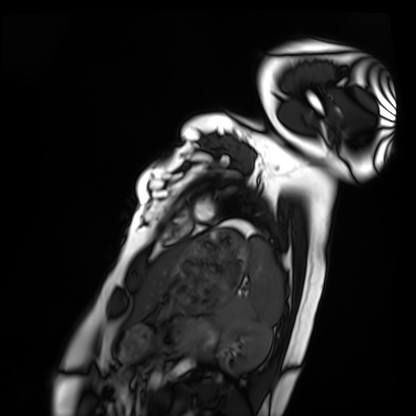
| field | value |
|---|---|
| modality | cardiac MRI |
| subject group | healthy volunteer |